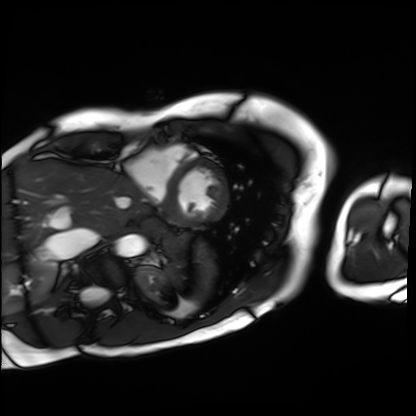
modality: cardiac MRI, subject group: patient.